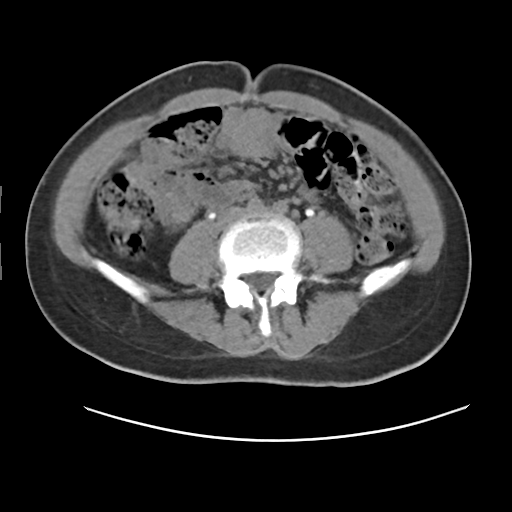
Summary: Multiphase abdominal CT, liver, delayed phase. Patient: female, age 43. History: viral hepatitis.